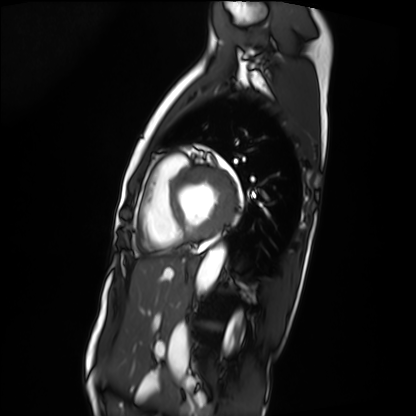
Cardiac MRI.
Subject group: patient.